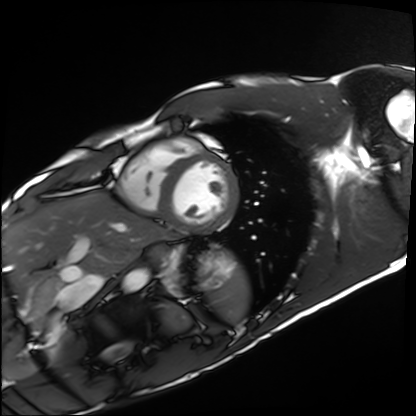
modality: cardiac MRI
cohort: healthy volunteer